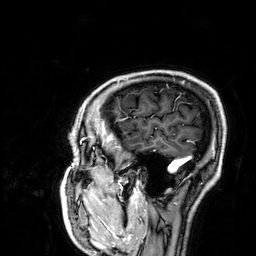
3 Tesla brain MRI. Series: 3D T1-weighted. Study: ring-enhancing brain masses.